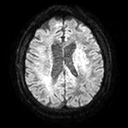
<case>
<modality>
  <type>brain MRI</type>
  <field_strength>3T</field_strength>
</modality>
<series>diffusion tensor imaging (medium iso)</series>
<study_topic>ring-enhancing brain masses</study_topic>
</case>